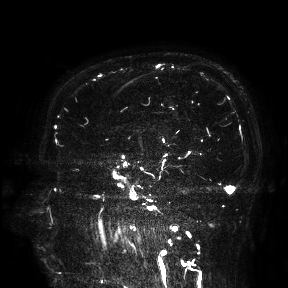
Summary:
3 Tesla brain MRI. Study: ring-enhancing brain masses.